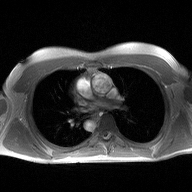
| field | value |
|---|---|
| modality | 2D phase-contrast cine MRI of the ascending aorta |